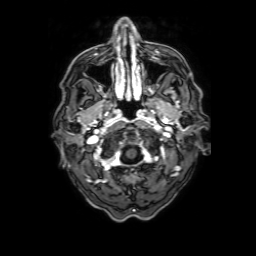
Summary:
3 Tesla brain MRI. Series: 3D T1-weighted with SENSE. Study: ring-enhancing brain masses.